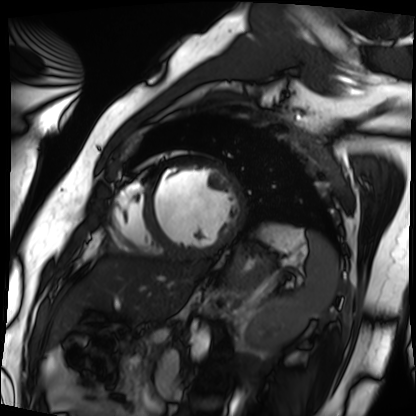
{
  "modality": "cardiac MRI",
  "cohort": "patient"
}